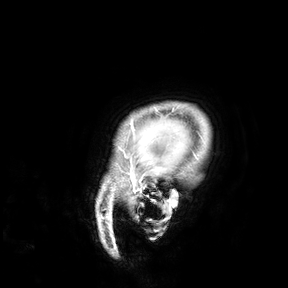
3 Tesla brain MRI. Study: ring-enhancing brain masses.